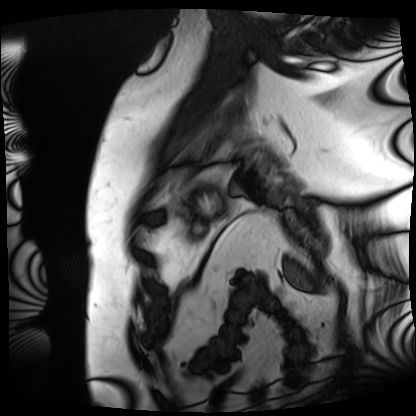
Cardiac MRI.
Subject group: patient.